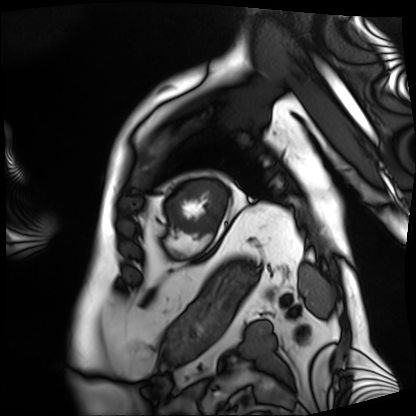
Cardiac MRI. Subject group: patient.